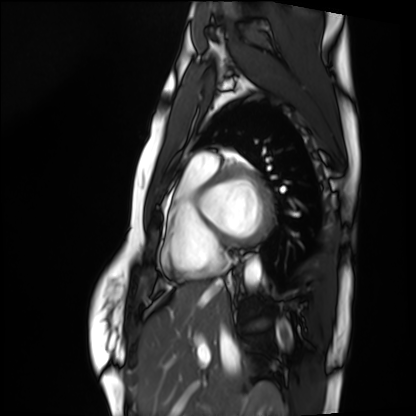
Q: What kind of scan is this?
A: Cardiac MRI.
Subject group: healthy volunteer.